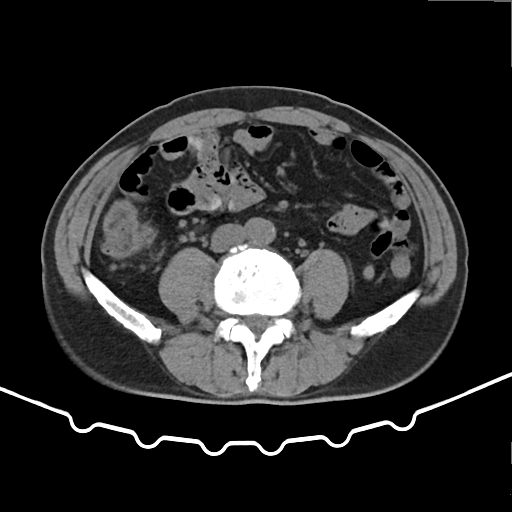
{"modality": {"type": "multiphase abdominal CT", "region": "liver", "phase": "non-contrast"}, "patient": {"sex": "male", "age": 62}}